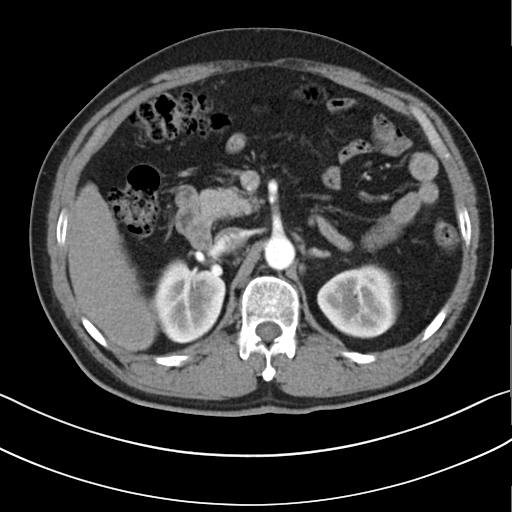
| field | value |
|---|---|
| modality | multiphase abdominal CT, liver, arterial phase |
| patient | male, age 52 |